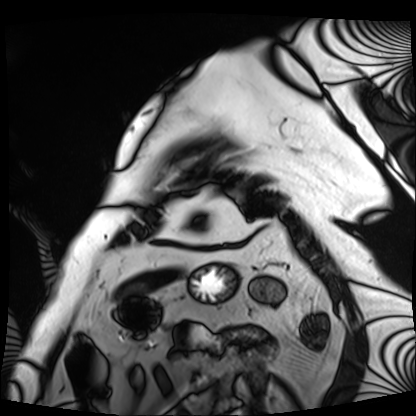
Case:
* modality — cardiac MRI
* subject group — patient